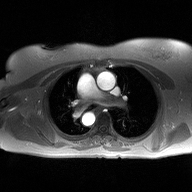
• modality — 2D phase-contrast cine MRI of the ascending aorta